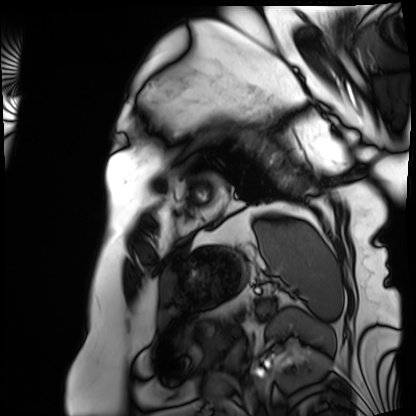
Cardiac MRI.
Subject group: patient.